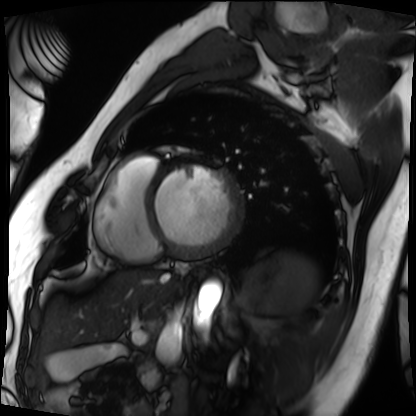
Cardiac MRI.
Subject group: patient.